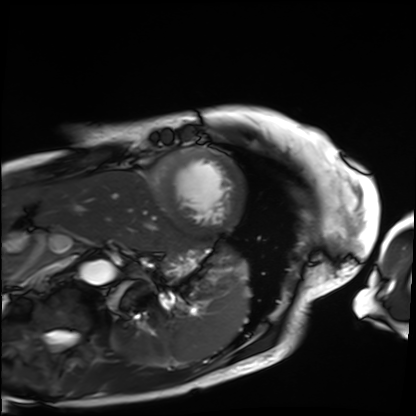
Cardiac MRI.
Subject group: patient.